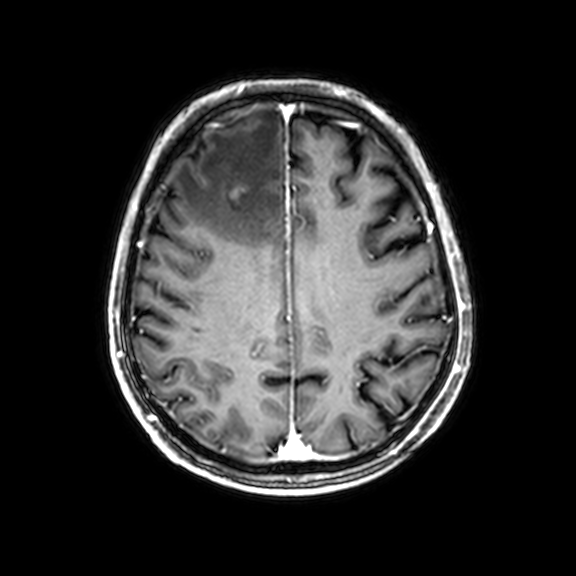
Clinical context:
3 Tesla brain MRI. Series: 3D T1-weighted with CLEAR. Study: ring-enhancing brain masses.